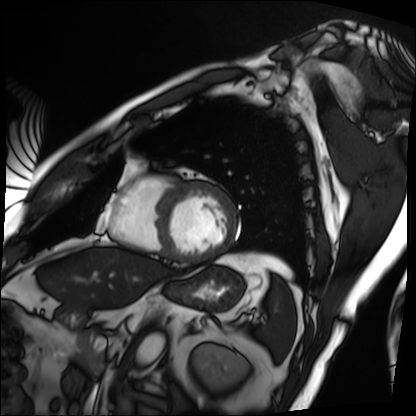
Case summary:
Cardiac MRI. Subject group: patient.